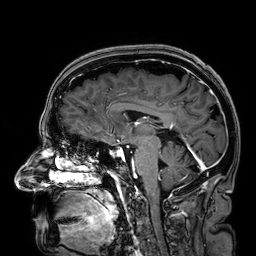
Q: What kind of scan is this?
A: 3 Tesla brain MRI.
Q: Series?
A: 3D T1-weighted.
Study: ring-enhancing brain masses.